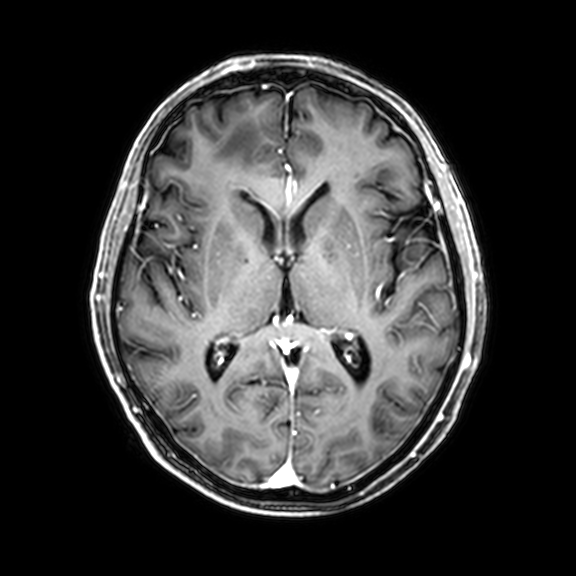
| field | value |
|---|---|
| modality | 3 Tesla brain MRI |
| series | 3D T1-weighted with CLEAR |
| study | ring-enhancing brain masses |